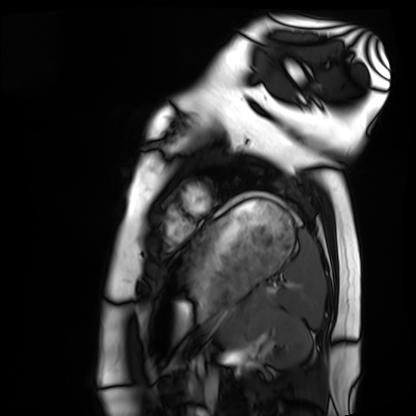
{
  "modality": "cardiac MRI",
  "cohort": "healthy volunteer"
}